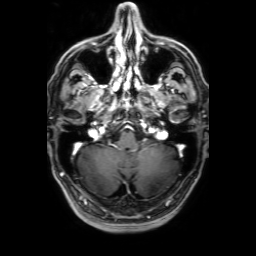
3 Tesla brain MRI. Series: 3D T1-weighted with SENSE. Study: ring-enhancing brain masses.